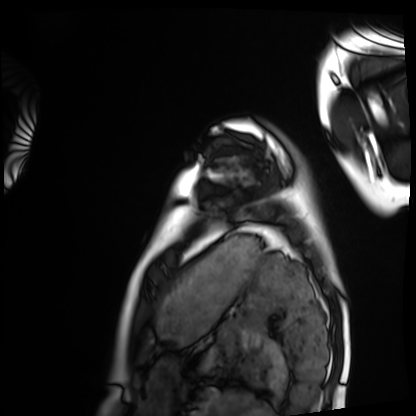
Case summary: Cardiac MRI. Subject group: healthy volunteer.